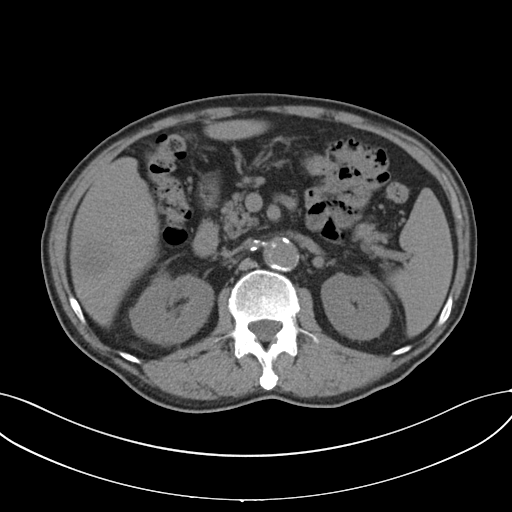
| field | value |
|---|---|
| modality | multiphase abdominal CT, liver, non-contrast phase |
| patient | male, age 69 |